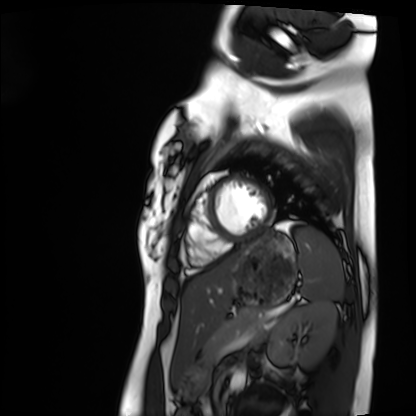
modality: cardiac MRI; subject group: healthy volunteer.